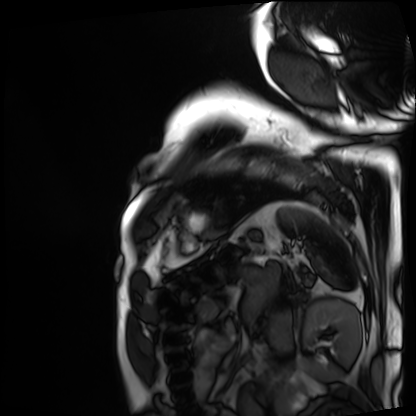
Cardiac MRI. Subject group: patient.